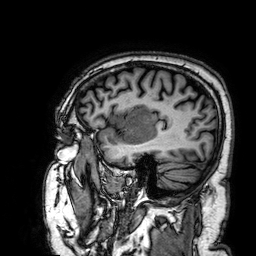
Clinical context:
3 Tesla brain MRI. Series: 3D T1-weighted. Study: ring-enhancing brain masses.